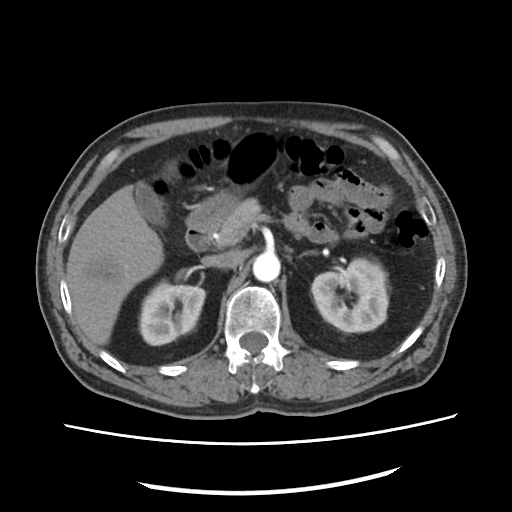
modality = multiphase abdominal CT, liver, arterial phase | patient = male, age 59 | history = viral hepatitis.